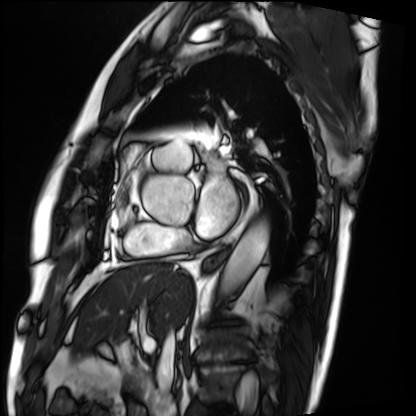
Cardiac MRI. Subject group: patient.